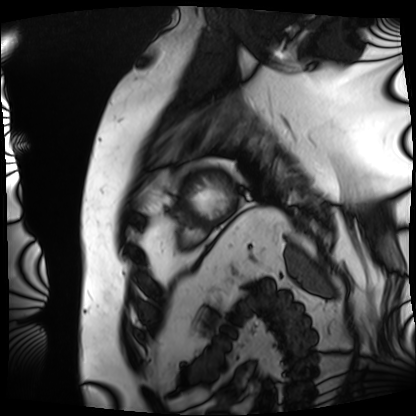
Case:
* modality: cardiac MRI
* subject group: patient